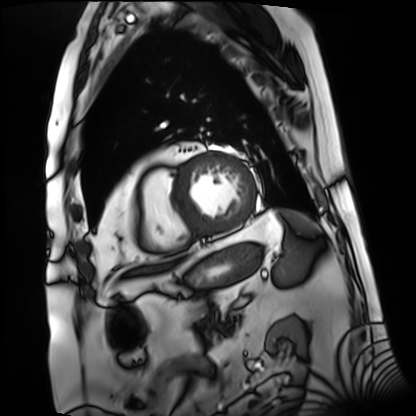
Summary:
Cardiac MRI. Subject group: patient.